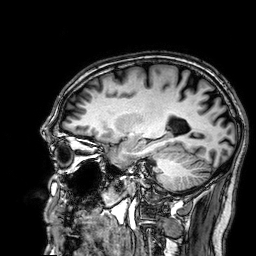
Case summary: 3 Tesla brain MRI. Study: ring-enhancing brain masses.